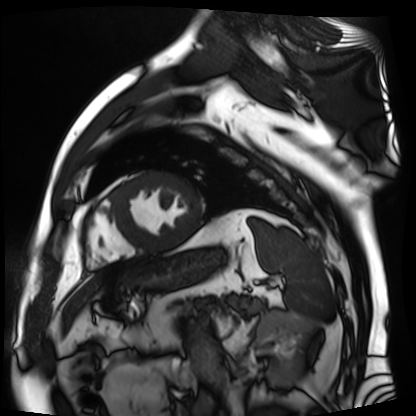
modality: cardiac MR image of the myocardium, subject cohort: cardiac patient.